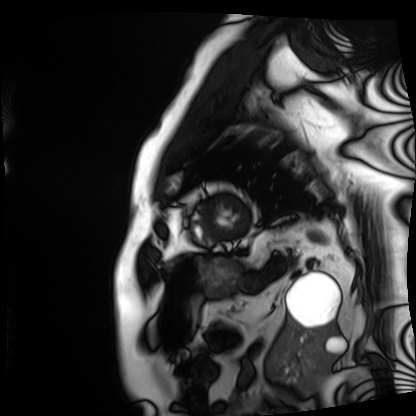
Summary:
Cardiac MRI. Subject group: patient.